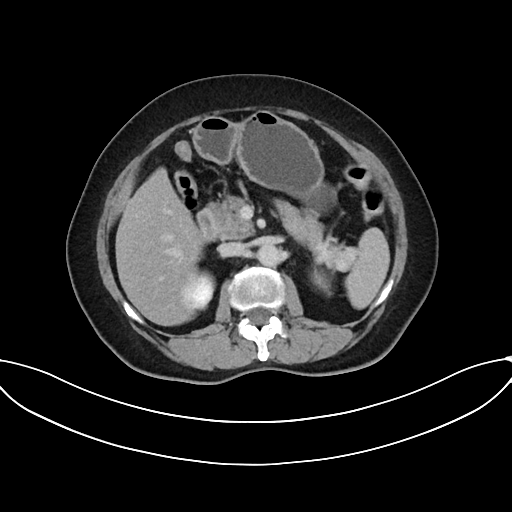
• modality: multiphase abdominal CT, liver, delayed phase
• patient: female, age 62
• history: prior chemotherapy